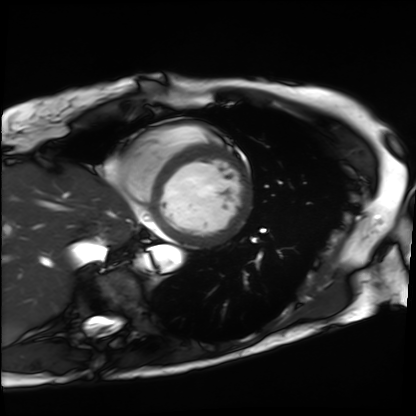
{"modality": "cardiac MRI", "cohort": "patient"}